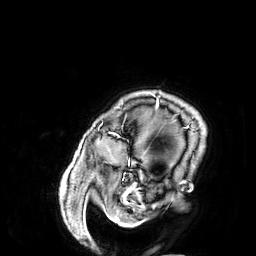
  modality:
    type: brain MRI
    field_strength: 3T
  series: 3D T1-weighted
  study_topic: ring-enhancing brain masses